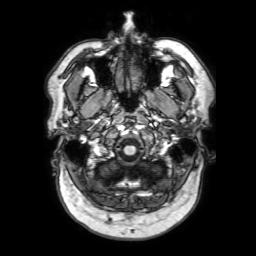
Case summary:
3 Tesla brain MRI. Series: 3D T1-weighted with SENSE. Study: ring-enhancing brain masses.